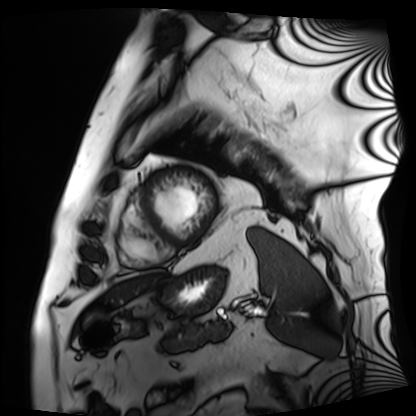
Summary: Cardiac MRI. Subject group: patient.